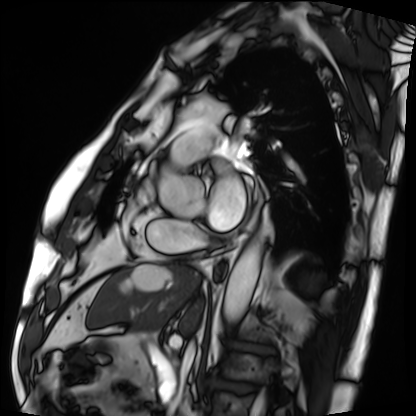
| field | value |
|---|---|
| modality | cardiac MRI |
| subject group | patient |